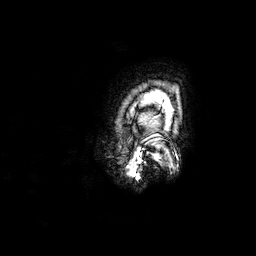
3 Tesla brain MRI.
Series: 3D T1-weighted.
Study: ring-enhancing brain masses.